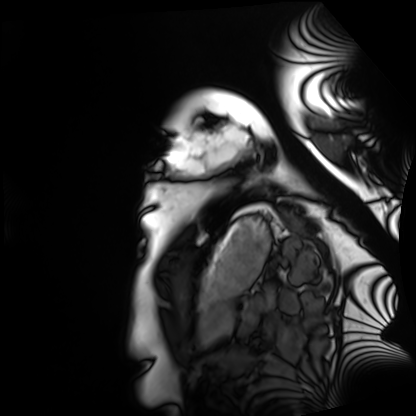
Cardiac MRI.
Subject group: healthy volunteer.